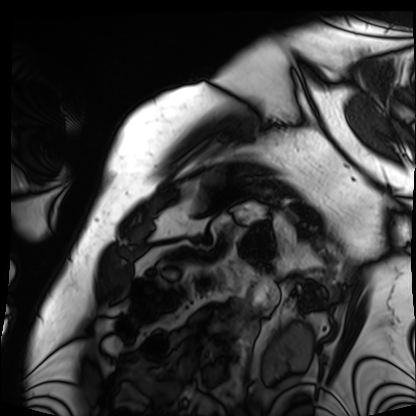
{"modality": "cardiac MRI", "cohort": "patient"}